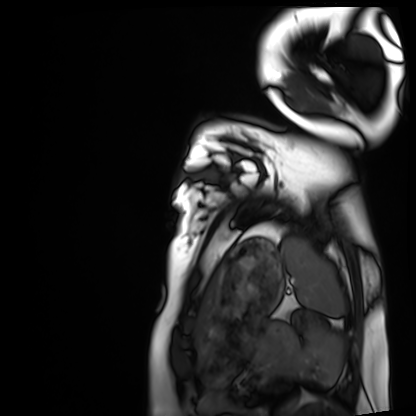
Summary:
Cardiac MRI. Subject group: healthy volunteer.